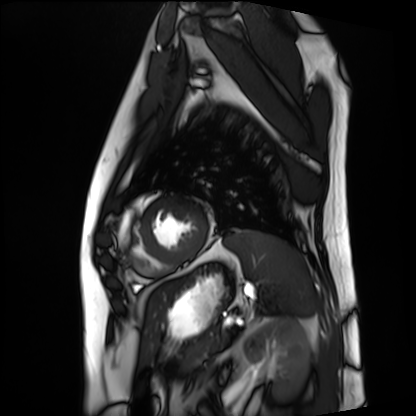
Clinical context: Cardiac MRI. Subject group: patient.